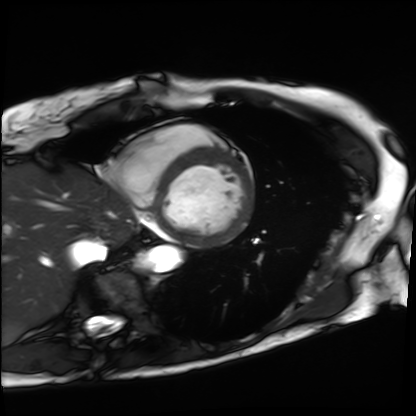
Clinical context:
Cardiac MRI. Subject group: patient.